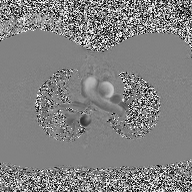
modality:
  type: 2D phase-contrast cine MRI
  region: ascending aorta
  reconstruction: high-resolution GRAPPA acquisition